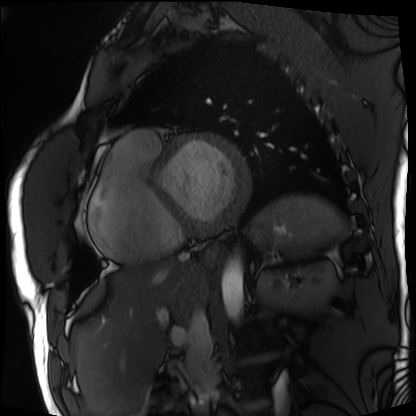
Clinical context: Cardiac MRI. Subject group: patient.